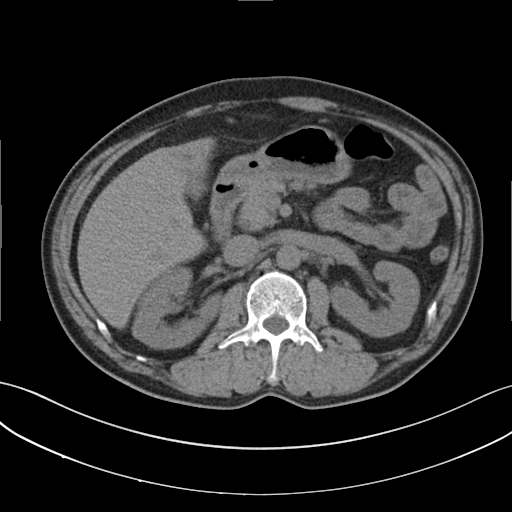
– modality · multiphase abdominal CT, liver, non-contrast phase
– patient · male, age 53